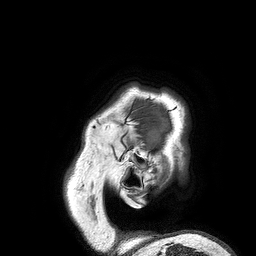
Summary: 3 Tesla brain MRI. Study: ring-enhancing brain masses.